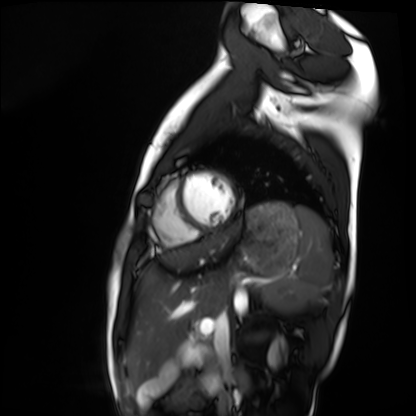
– modality — cardiac MRI
– subject group — healthy volunteer